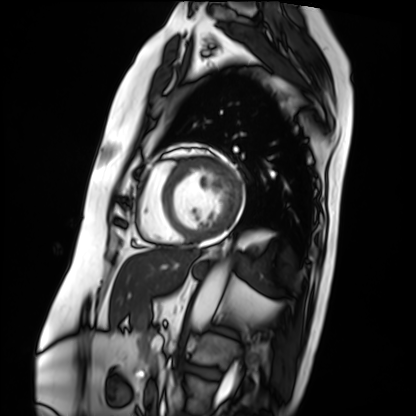
Cardiac MRI. Subject group: patient.